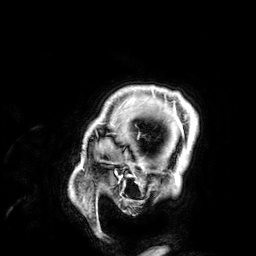
3 Tesla brain MRI.
Series: 3D T1-weighted.
Study: ring-enhancing brain masses.